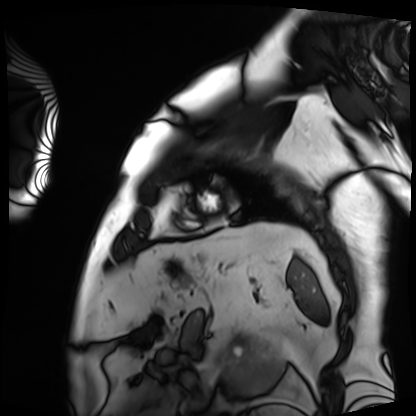
Case:
* modality · cardiac MRI
* subject group · patient